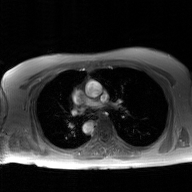
{"modality": {"type": "2D phase-contrast cine MRI", "region": "ascending aorta", "reconstruction": "GAN super-resolution reconstruction"}}